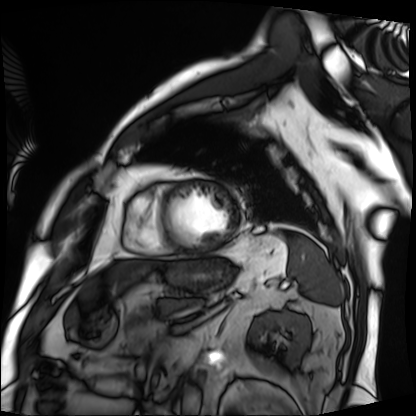
<case>
<modality>cardiac MRI</modality>
<cohort>patient</cohort>
</case>